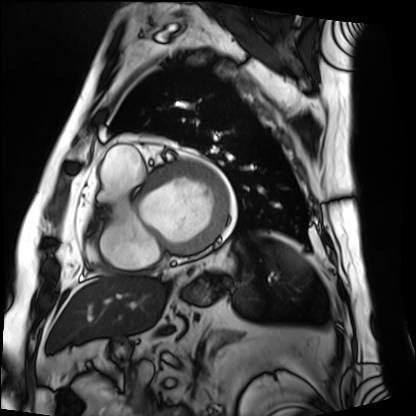
Case summary: Cardiac MRI. Subject group: patient.